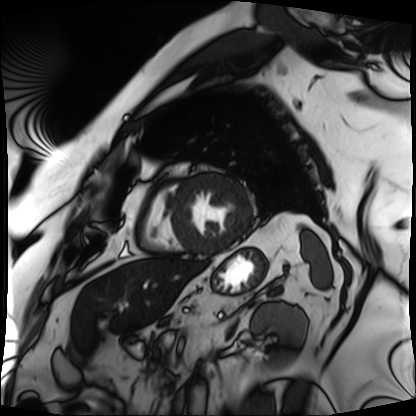
Case summary: Cardiac MRI. Subject group: patient.